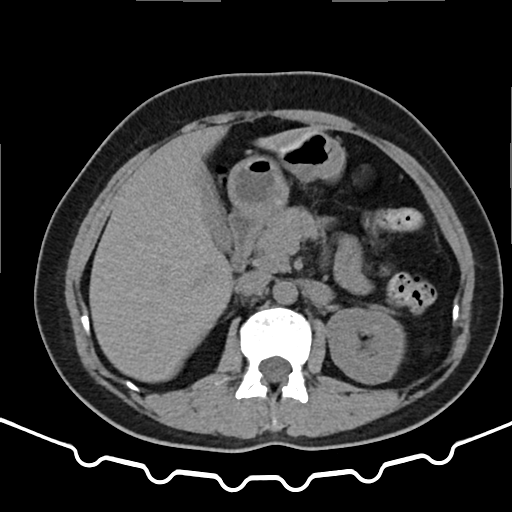
Multiphase abdominal CT, liver, non-contrast phase.
Patient: female, age 52.